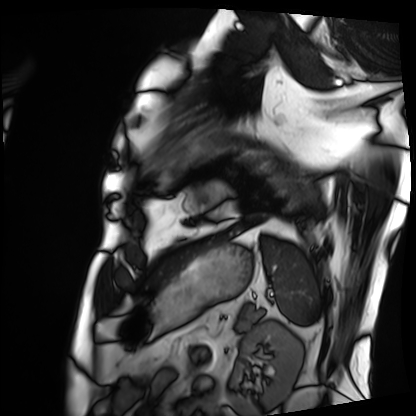
Summary:
Cardiac MRI. Subject group: patient.